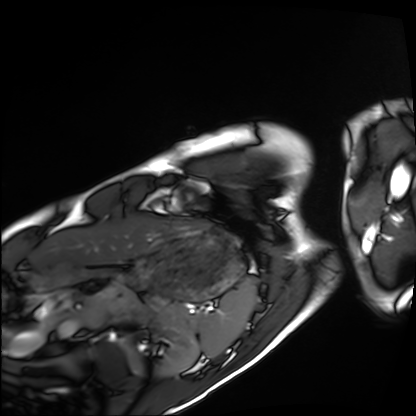
modality=cardiac MRI; subject group=healthy volunteer.